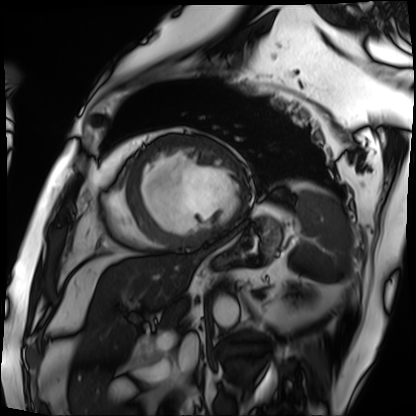
{"modality": "cardiac MRI", "cohort": "patient"}